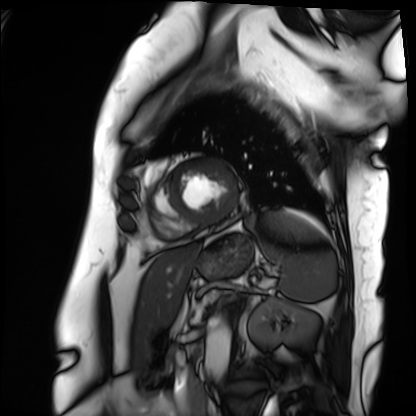
modality=cardiac MRI | subject group=patient.